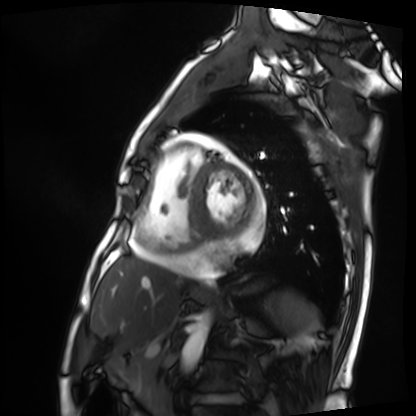
Cardiac MRI. Subject group: patient.